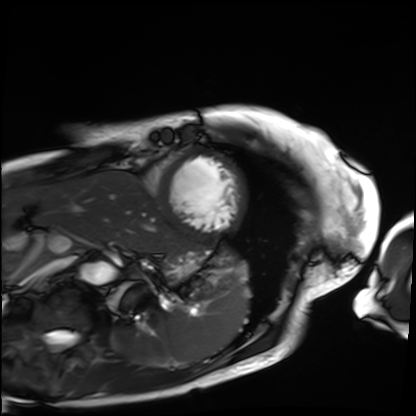
Case:
– modality · cardiac MRI
– subject group · patient